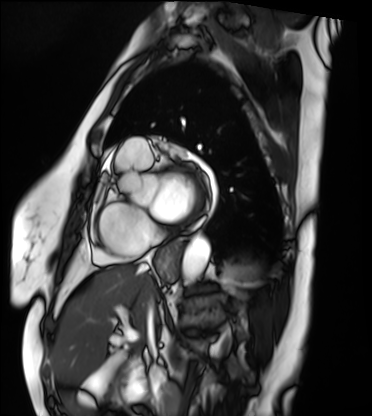
• modality: cardiac MRI
• subject group: patient